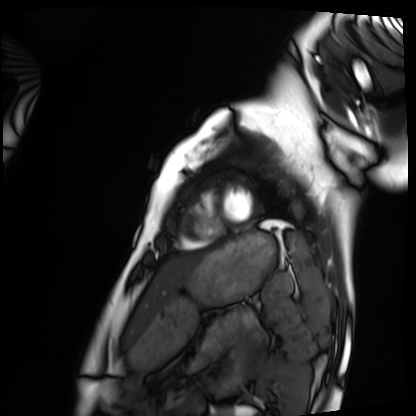
Cardiac MRI.
Subject group: healthy volunteer.